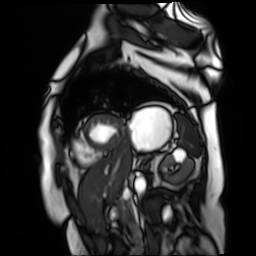
Cardiac MR image of the myocardium. Subject cohort: cardiac patient.